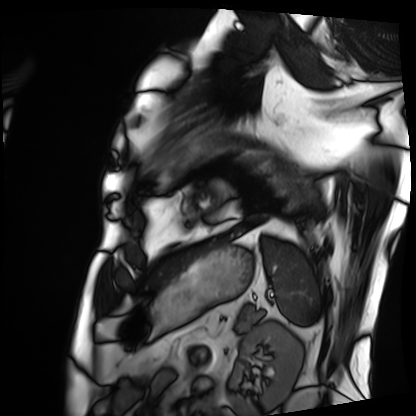
Cardiac MRI.
Subject group: patient.